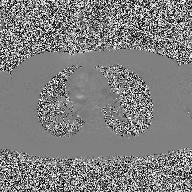
{"modality": {"type": "2D phase-contrast cine MRI", "region": "ascending aorta", "reconstruction": "high-resolution GRAPPA acquisition"}}